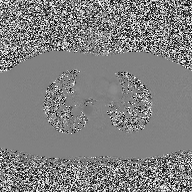
modality = 2D phase-contrast cine MRI of the ascending aorta.